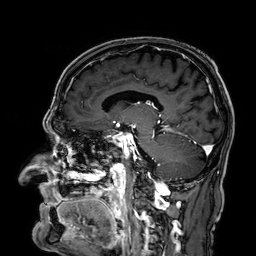
Summary: 3 Tesla brain MRI. Series: 3D T1-weighted. Study: ring-enhancing brain masses.